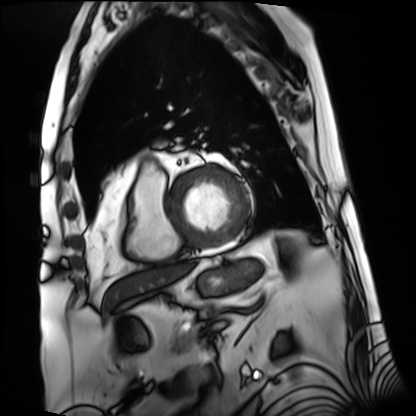
Summary:
Cardiac MRI. Subject group: patient.